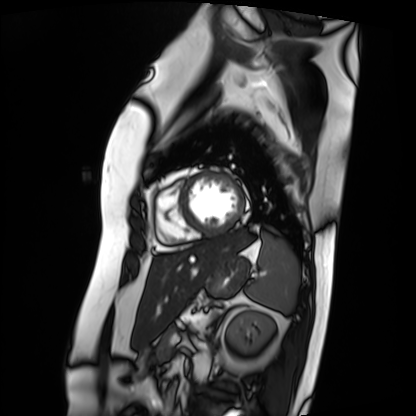
Summary: Cardiac MRI. Subject group: patient.